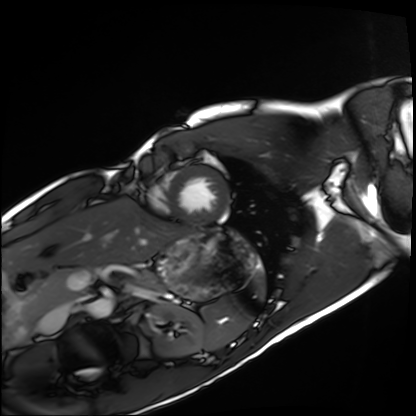
Q: What kind of scan is this?
A: Cardiac MRI.
Subject group: healthy volunteer.